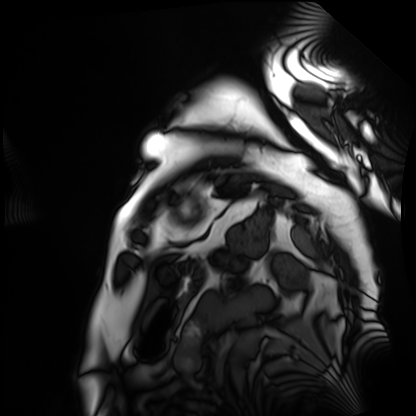
Cardiac MRI.
Subject group: patient.